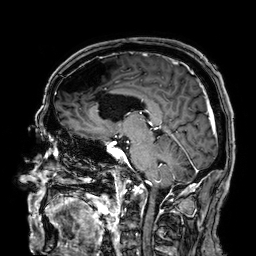
modality = 3 Tesla brain MRI; study = ring-enhancing brain masses.